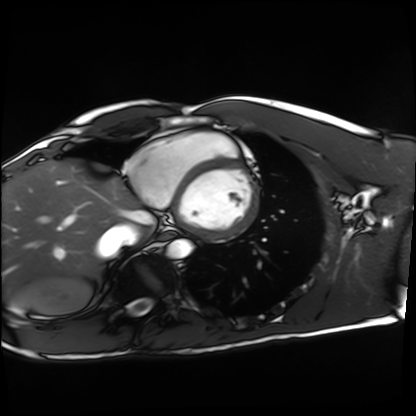
Q: What kind of scan is this?
A: Cardiac MRI.
Subject group: healthy volunteer.